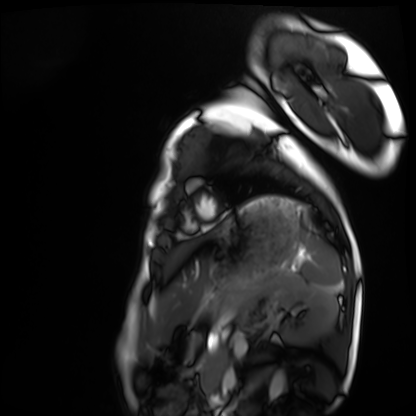
modality=cardiac MRI | subject group=healthy volunteer.